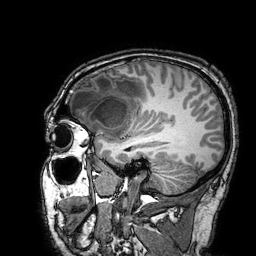
3 Tesla brain MRI. Series: 3D T1-weighted turbo field echo with SENSE. Study: ring-enhancing brain masses.